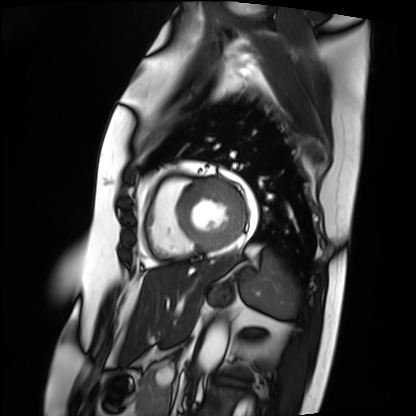
Clinical context: Cardiac MRI. Subject group: patient.